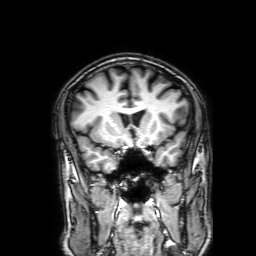
<record>
<modality>
  <type>brain MRI</type>
  <field_strength>3T</field_strength>
</modality>
<series>3D T1-weighted with SENSE</series>
<study_topic>ring-enhancing brain masses</study_topic>
</record>